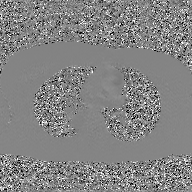
- modality: 2D phase-contrast cine MRI of the ascending aorta, GAN super-resolution reconstruction